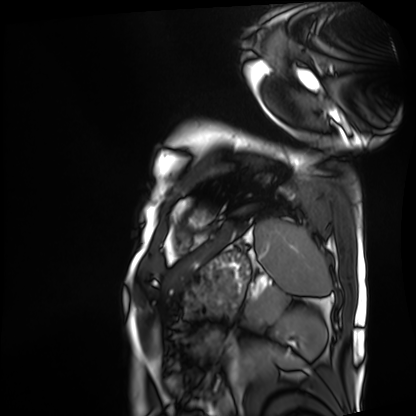
| field | value |
|---|---|
| modality | cardiac MRI |
| subject group | patient |